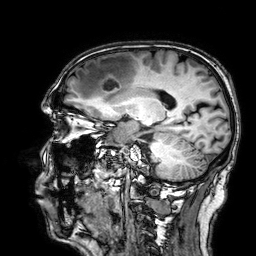
3 Tesla brain MRI.
Series: 3D T1-weighted.
Study: ring-enhancing brain masses.